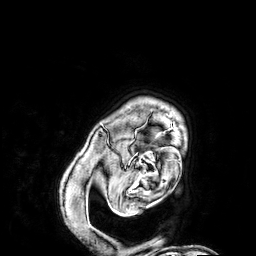
3 Tesla brain MRI. Series: 3D T1-weighted. Study: ring-enhancing brain masses.